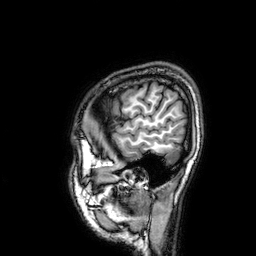
Case summary:
3 Tesla brain MRI. Series: 3D T1-weighted. Study: ring-enhancing brain masses.